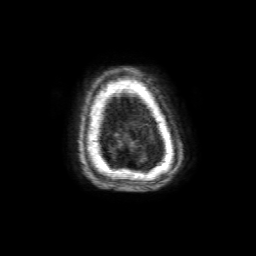
Summary: 3 Tesla brain MRI. Series: 3D T1-weighted with SENSE. Study: ring-enhancing brain masses.